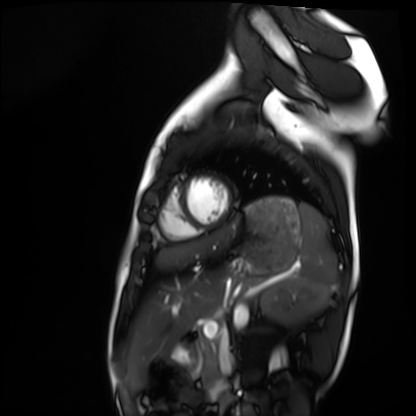
| field | value |
|---|---|
| modality | cardiac MRI |
| subject group | healthy volunteer |